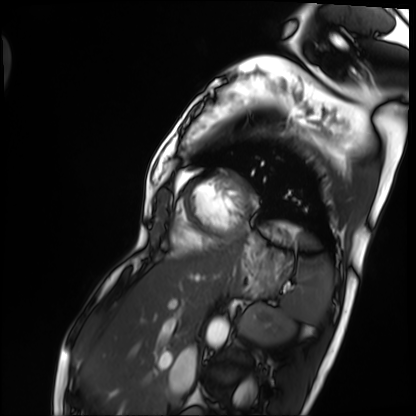
- modality: cardiac MRI
- subject group: patient